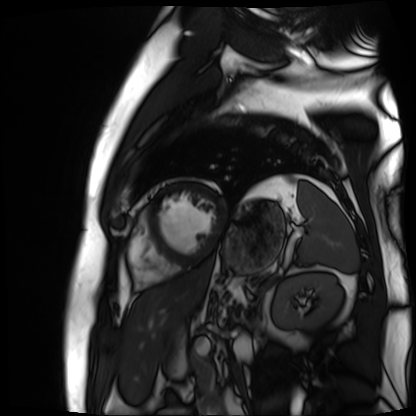
{"modality": "cardiac MR image of the myocardium", "cohort": "cardiac patient"}